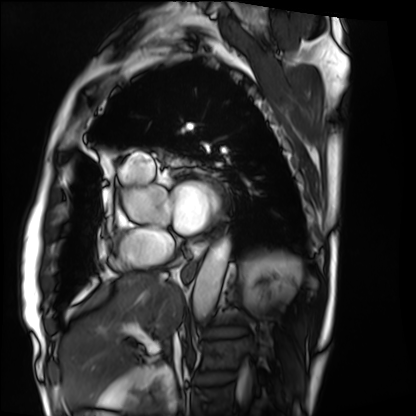
Cardiac MRI.
Subject group: patient.